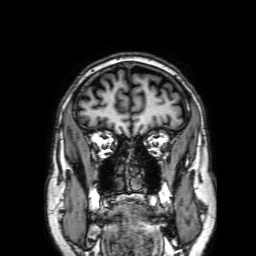
3 Tesla brain MRI. Series: 3D T1-weighted with SENSE. Study: ring-enhancing brain masses.